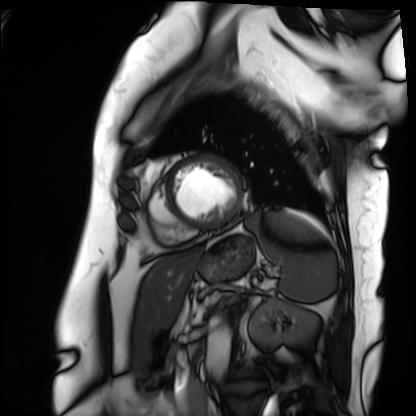
Summary: Cardiac MRI. Subject group: patient.